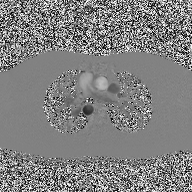
Clinical context: 2D phase-contrast cine MRI of the ascending aorta, high-resolution GRAPPA acquisition.